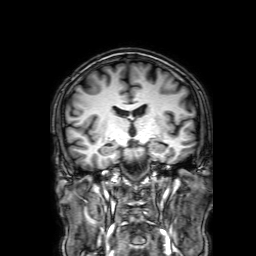
3 Tesla brain MRI. Series: 3D T1-weighted with SENSE. Study: ring-enhancing brain masses.